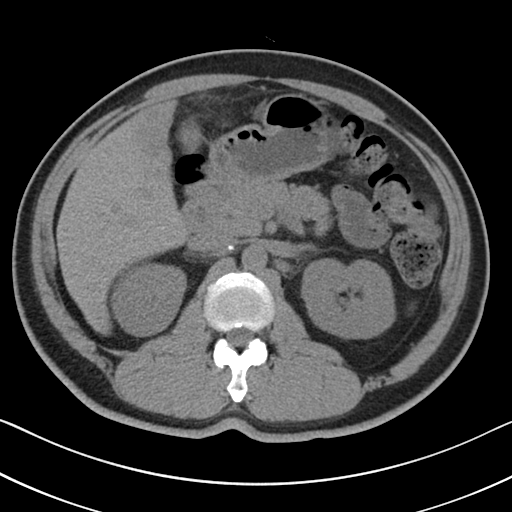
Multiphase abdominal CT, liver, non-contrast phase. Patient: male, age 51.